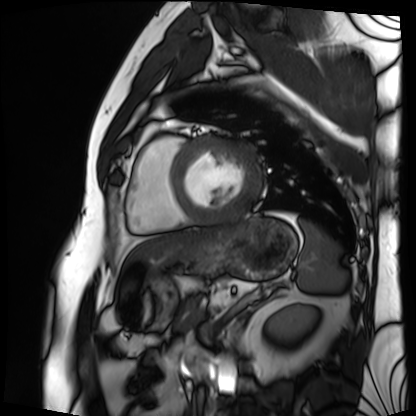
Q: What kind of scan is this?
A: Cardiac MRI.
Subject group: patient.